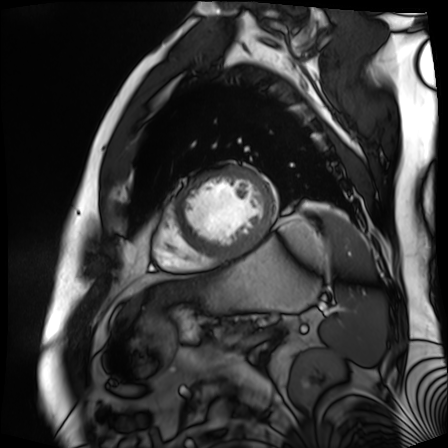
Cardiac MR image of the myocardium.
Subject cohort: cardiac patient.